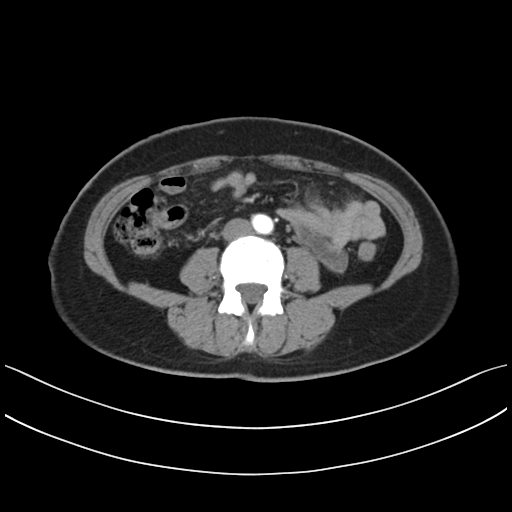
modality = multiphase abdominal CT, liver, arterial phase | patient = female, age 44 | history = prior chemotherapy.